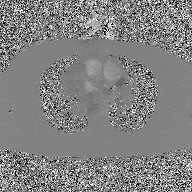
  modality:
    type: 2D phase-contrast cine MRI
    region: ascending aorta
    reconstruction: GAN super-resolution reconstruction